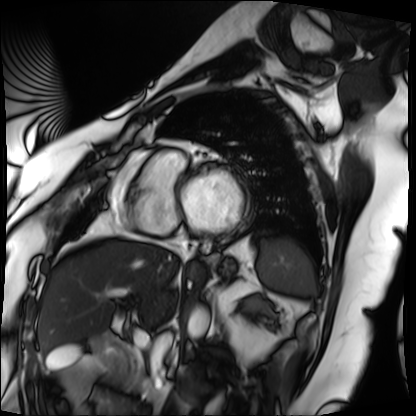
| field | value |
|---|---|
| modality | cardiac MRI |
| subject group | patient |